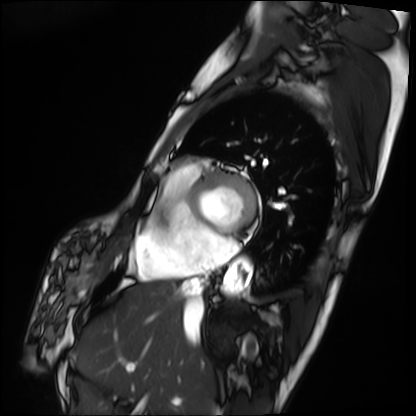
– modality — cardiac MRI
– subject group — patient